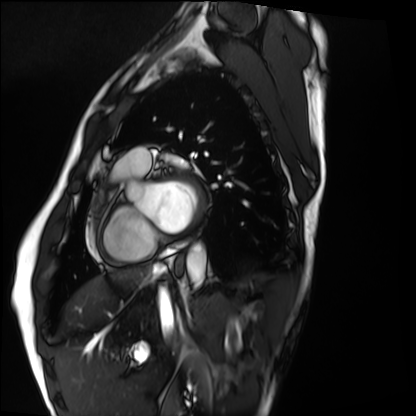
- modality · cardiac MRI
- subject group · healthy volunteer